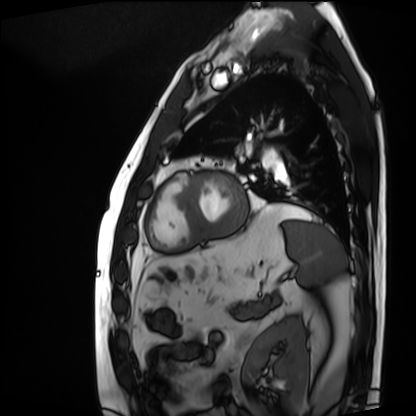
Summary: Cardiac MRI. Subject group: patient.